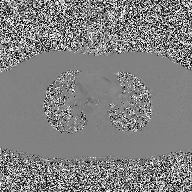
modality: 2D phase-contrast cine MRI of the ascending aorta.